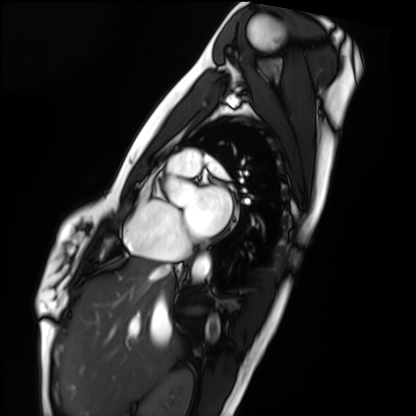
Summary: Cardiac MRI. Subject group: healthy volunteer.